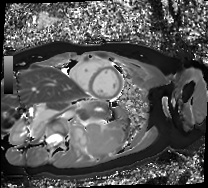
Case:
• modality — cardiac MR image of the myocardium
• subject cohort — healthy volunteer